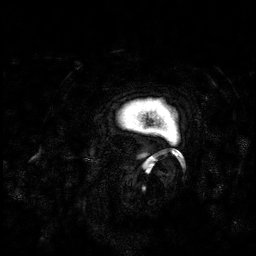
modality=3 Tesla brain MRI | series=3D T1-weighted | study=ring-enhancing brain masses.